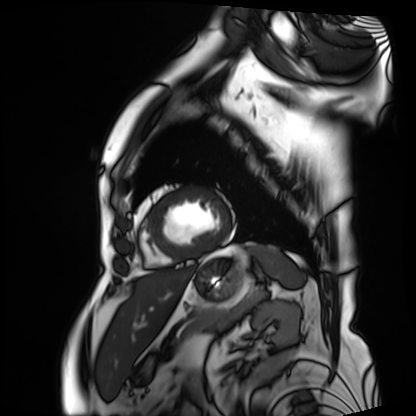
Cardiac MRI. Subject group: patient.